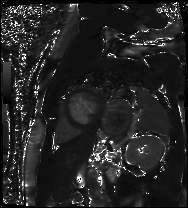
Case:
* modality · cardiac MR image of the myocardium
* subject cohort · cardiac patient